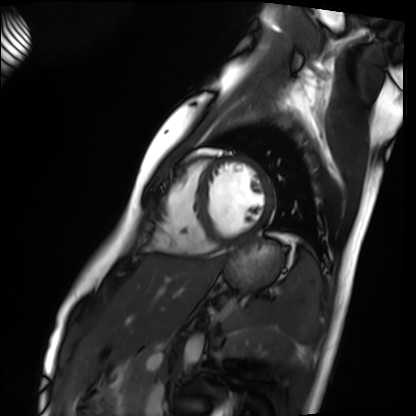
* modality — cardiac MRI
* subject group — healthy volunteer